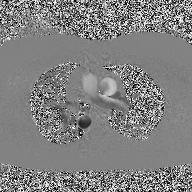
Clinical context:
2D phase-contrast cine MRI of the ascending aorta, high-resolution GRAPPA acquisition.